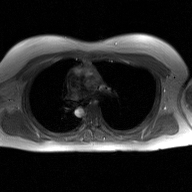
| field | value |
|---|---|
| modality | 2D phase-contrast cine MRI of the ascending aorta, GAN super-resolution reconstruction |